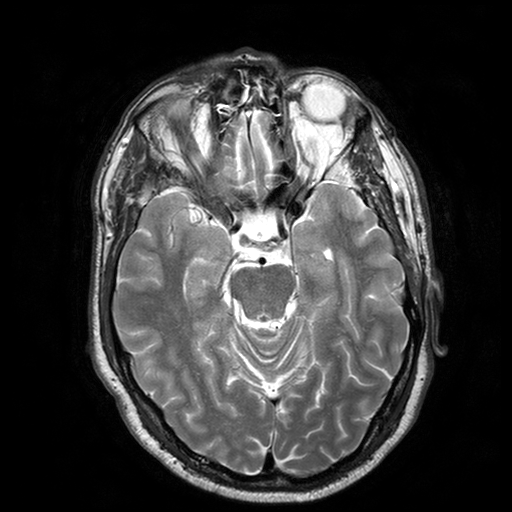
modality=3 Tesla brain MRI; series=T2-weighted turbo spin echo with SENSE; study=ring-enhancing brain masses.